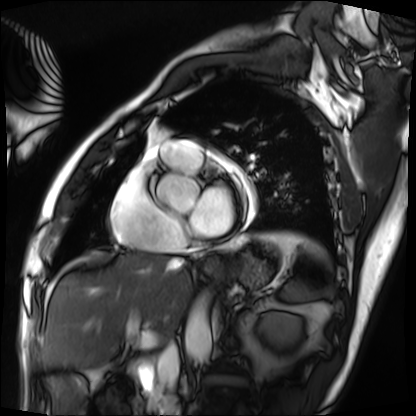
Cardiac MRI. Subject group: patient.